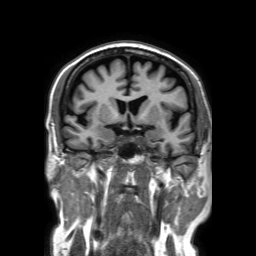
3 Tesla brain MRI. Series: 3D T1-weighted TFE with SENSE. Study: ring-enhancing brain masses.